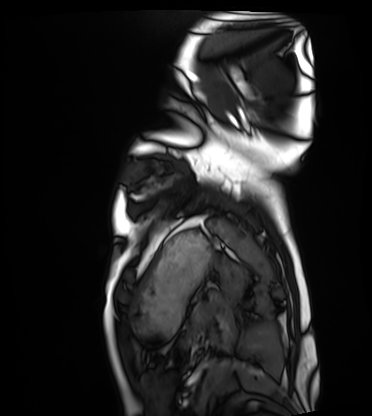
Case summary: Cardiac MRI. Subject group: healthy volunteer.